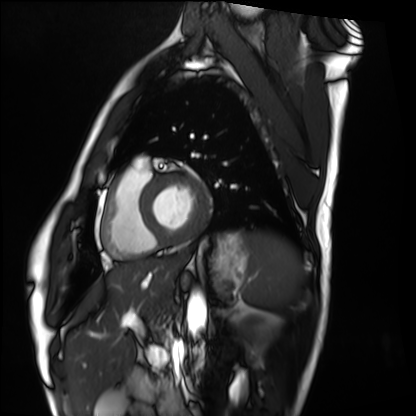
<record>
<modality>cardiac MRI</modality>
<cohort>healthy volunteer</cohort>
</record>